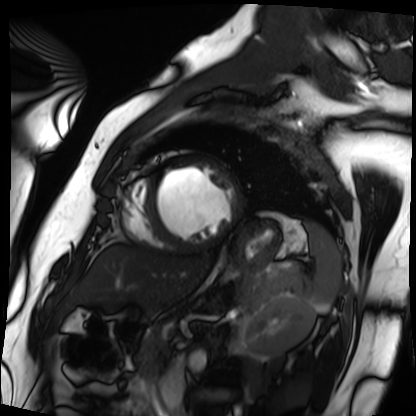
Cardiac MRI. Subject group: patient.